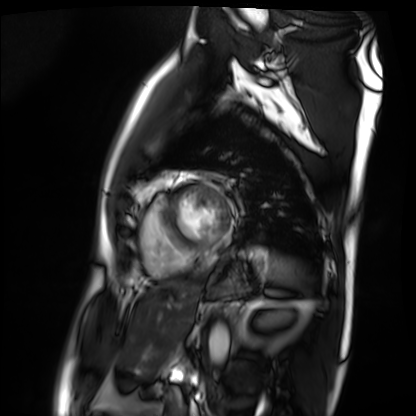
Cardiac MRI.
Subject group: patient.